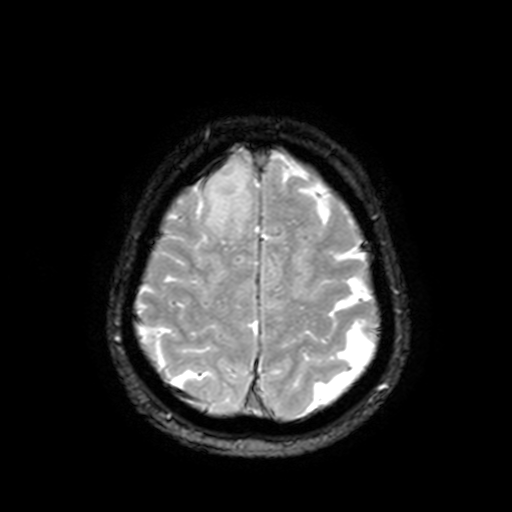
Clinical context:
3 Tesla brain MRI. Series: T2-weighted fast field echo with SENSE. Study: ring-enhancing brain masses.